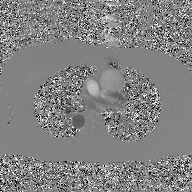
modality=2D phase-contrast cine MRI of the ascending aorta, GAN super-resolution reconstruction